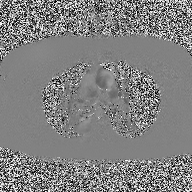
{"modality": {"type": "2D phase-contrast cine MRI", "region": "ascending aorta", "reconstruction": "high-resolution GRAPPA acquisition"}}